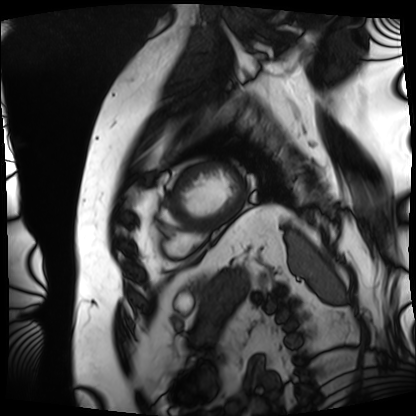
modality=cardiac MRI; subject group=patient.